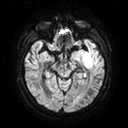
3 Tesla brain MRI. Series: diffusion tensor imaging (medium iso). Study: ring-enhancing brain masses.